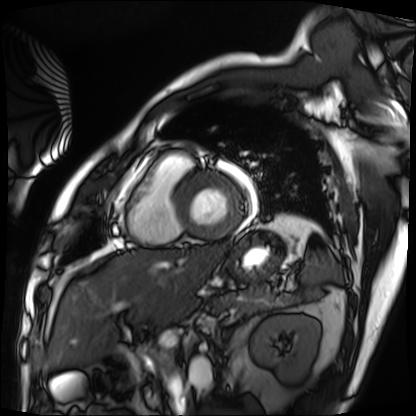
Case:
– modality — cardiac MRI
– subject group — patient